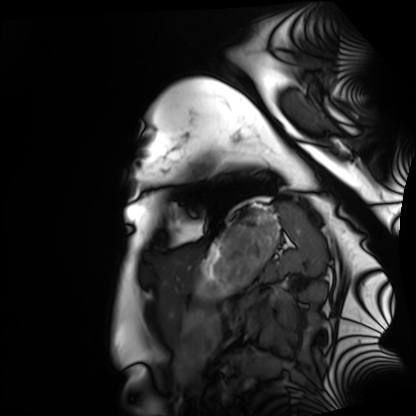
Q: What kind of scan is this?
A: Cardiac MRI.
Subject group: healthy volunteer.